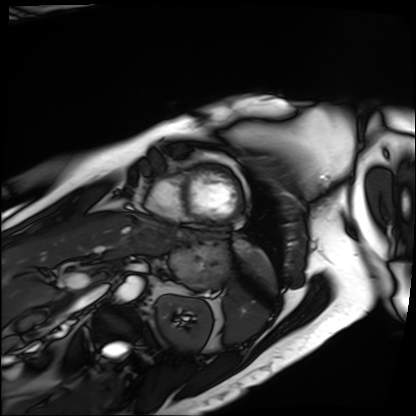
Q: What kind of scan is this?
A: Cardiac MRI.
Subject group: patient.